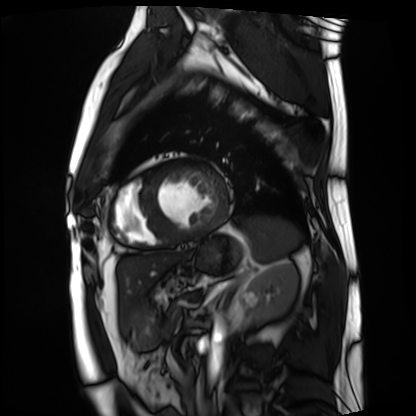
| field | value |
|---|---|
| modality | cardiac MRI |
| subject group | patient |